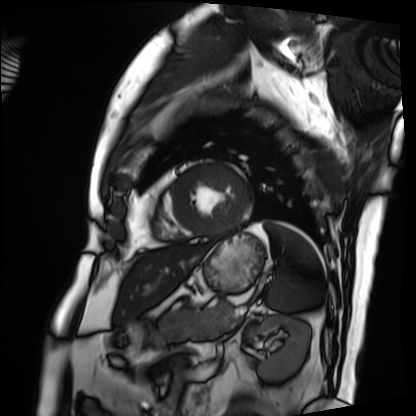
Q: What kind of scan is this?
A: Cardiac MRI.
Subject group: patient.